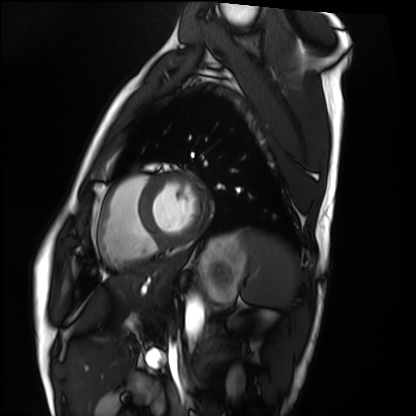
Cardiac MRI.
Subject group: healthy volunteer.